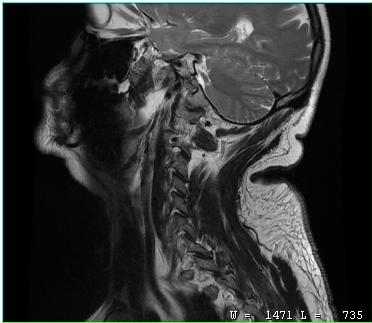
Q: What kind of scan is this?
A: MRI of the cervical spine.
Study: cervical spondylosis.